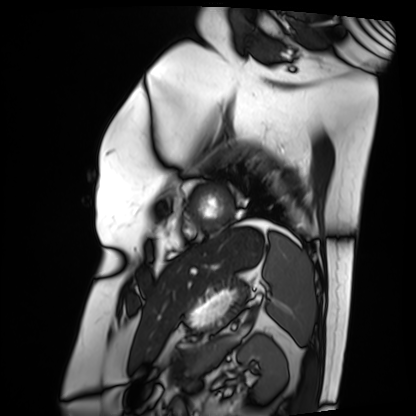
modality = cardiac MRI | subject group = patient.